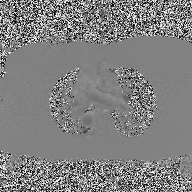
modality=2D phase-contrast cine MRI of the ascending aorta.